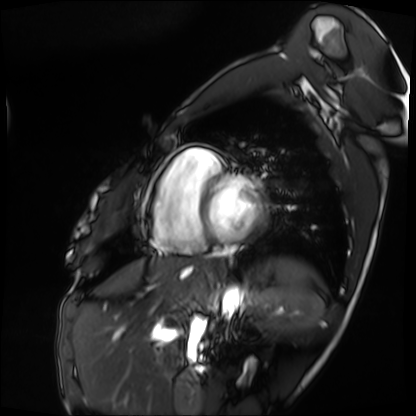
  modality: cardiac MRI
  cohort: patient